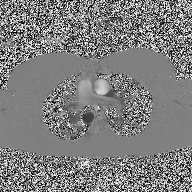
Q: What kind of scan is this?
A: 2D phase-contrast cine MRI of the ascending aorta.